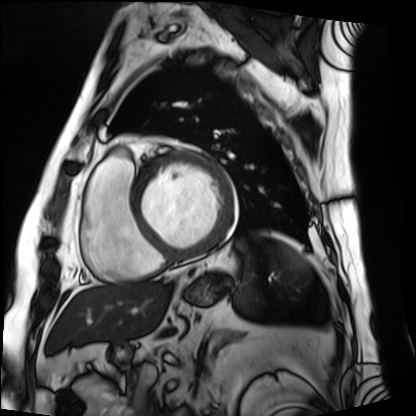
Cardiac MRI. Subject group: patient.